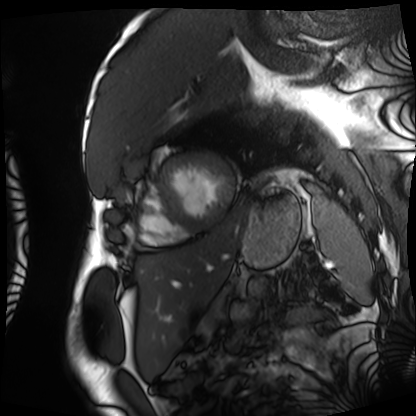
modality: cardiac MRI; subject group: patient.